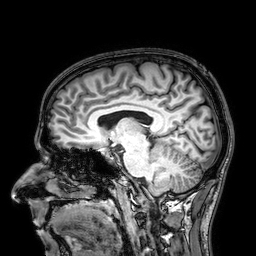
Summary: 3 Tesla brain MRI. Series: 3D T1-weighted. Study: ring-enhancing brain masses.